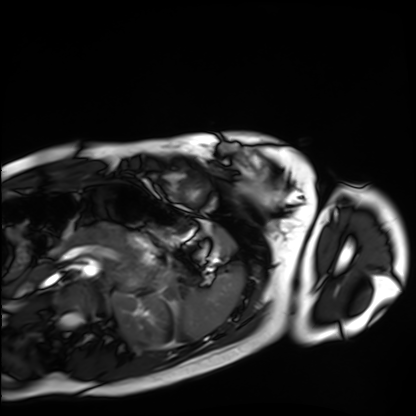
Clinical context: Cardiac MRI. Subject group: healthy volunteer.